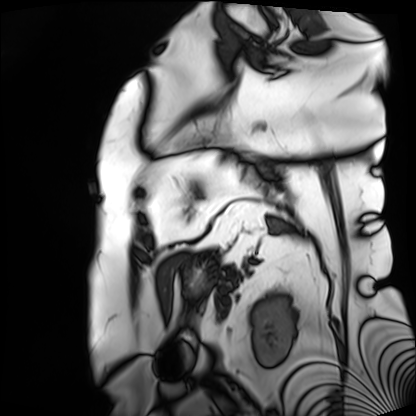
Cardiac MRI. Subject group: patient.